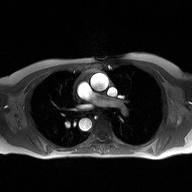
Case:
• modality — 2D phase-contrast cine MRI of the ascending aorta